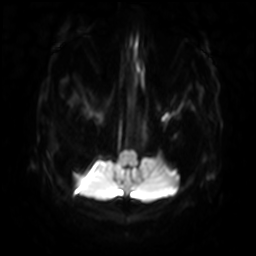
3 Tesla brain MRI. Series: diffusion-weighted imaging with SENSE (WIP). Study: ring-enhancing brain masses.